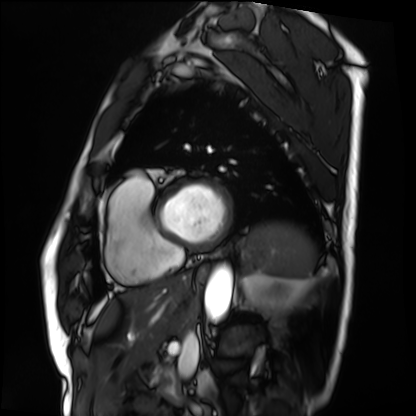
Summary: Cardiac MRI. Subject group: patient.